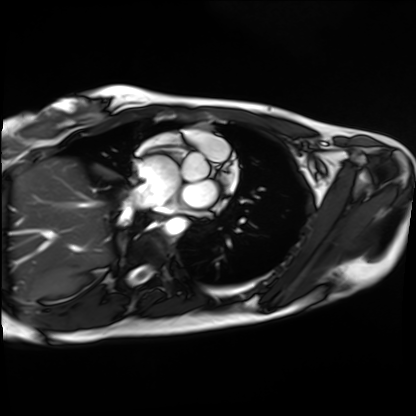
modality=cardiac MRI; subject group=healthy volunteer.